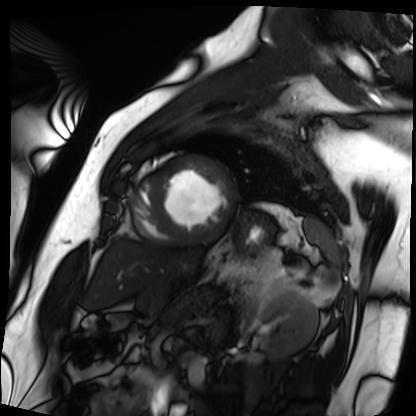
modality = cardiac MRI; subject group = patient.